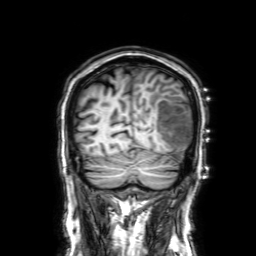
Summary: 3 Tesla brain MRI. Series: 3D T1-weighted with SENSE. Study: ring-enhancing brain masses.